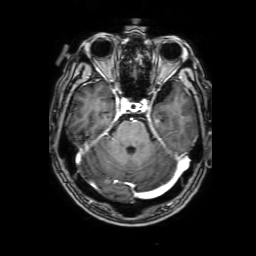
Q: What kind of scan is this?
A: 3 Tesla brain MRI.
Q: Series?
A: 3D T1-weighted with SENSE.
Study: ring-enhancing brain masses.